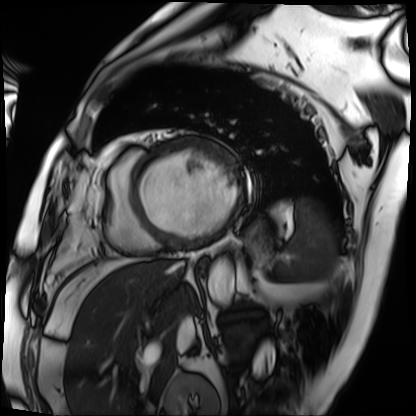
Case summary:
Cardiac MRI. Subject group: patient.